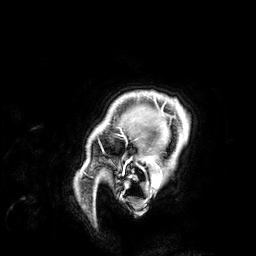
3 Tesla brain MRI. Series: 3D T1-weighted. Study: ring-enhancing brain masses.